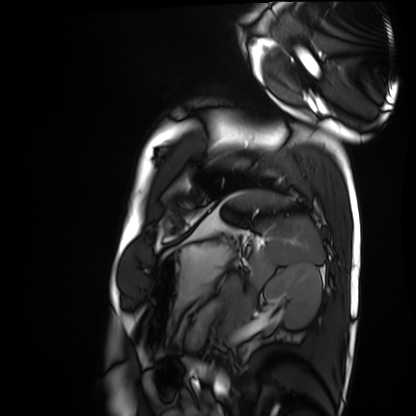
{
  "modality": "cardiac MRI",
  "cohort": "healthy volunteer"
}